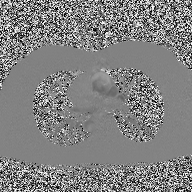
{"modality": {"type": "2D phase-contrast cine MRI", "region": "ascending aorta", "reconstruction": "high-resolution GRAPPA acquisition"}}